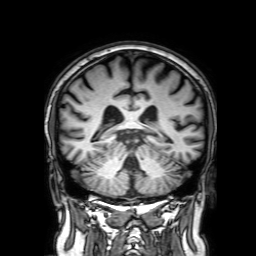
3 Tesla brain MRI. Series: 3D T1-weighted with SENSE. Study: ring-enhancing brain masses.